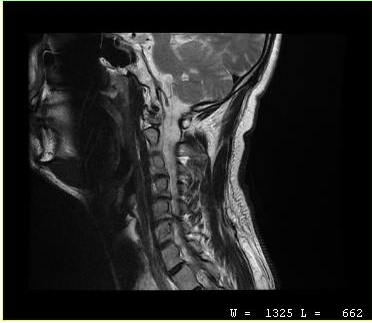
MRI of the cervical spine. Study: cervical spondylosis.